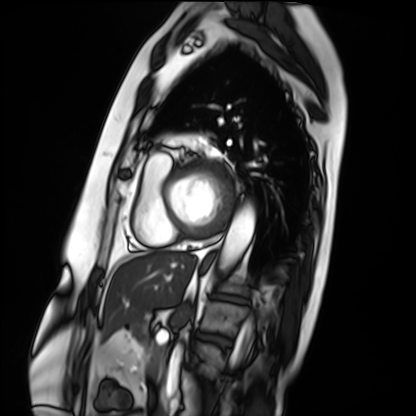
modality = cardiac MRI
subject group = patient